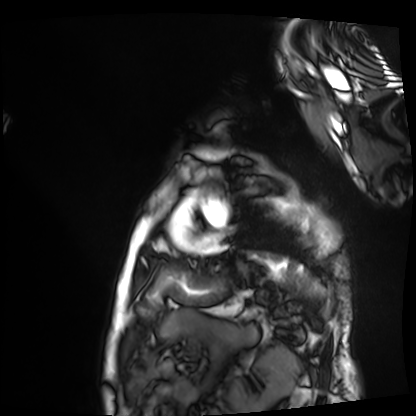
| field | value |
|---|---|
| modality | cardiac MRI |
| subject group | patient |